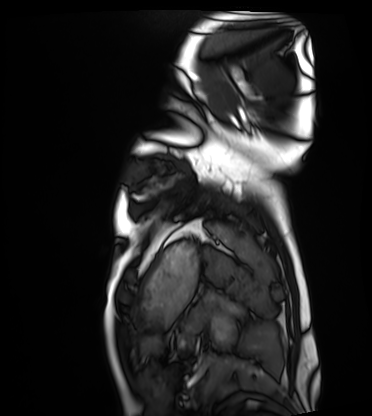
Cardiac MRI. Subject group: healthy volunteer.